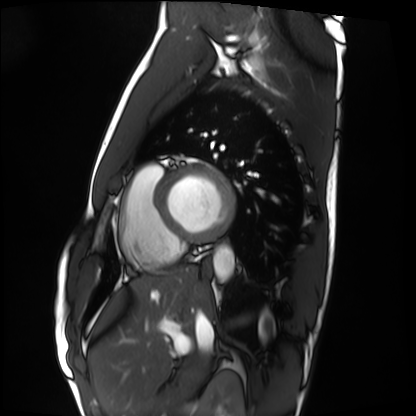
Case:
• modality: cardiac MRI
• subject group: healthy volunteer